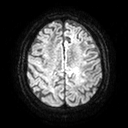
modality: 3 Tesla brain MRI | series: diffusion tensor imaging (medium iso) | study: ring-enhancing brain masses.